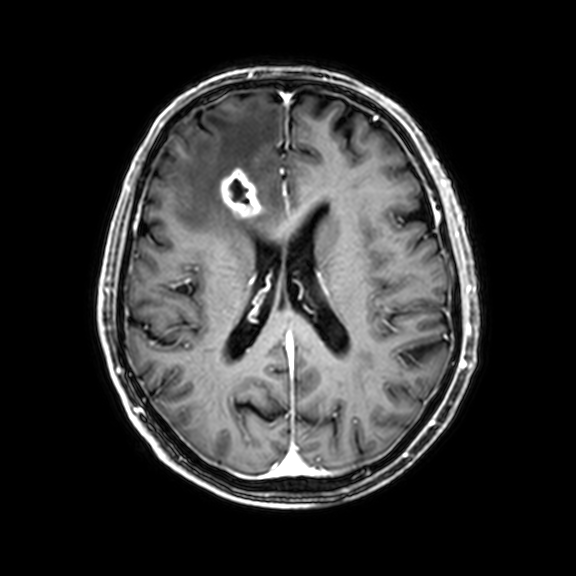
| field | value |
|---|---|
| modality | 3 Tesla brain MRI |
| series | 3D T1-weighted with CLEAR |
| study | ring-enhancing brain masses |